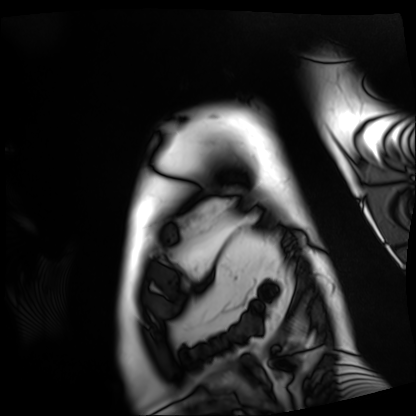
Clinical context: Cardiac MRI. Subject group: patient.